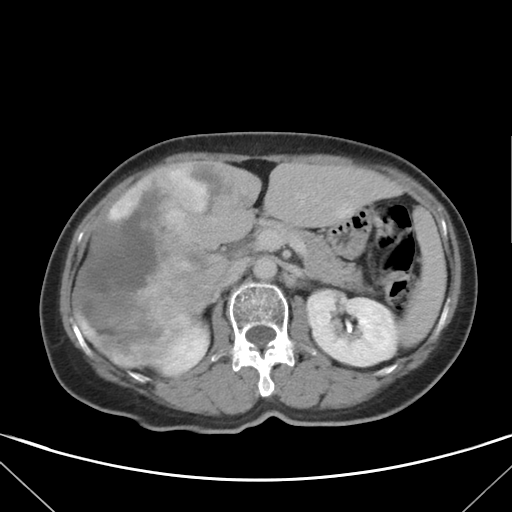
* modality — multiphase abdominal CT, liver, delayed phase
* patient — female, age 58